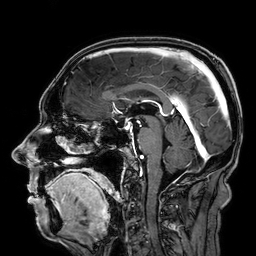
3 Tesla brain MRI. Series: 3D T1-weighted. Study: ring-enhancing brain masses.